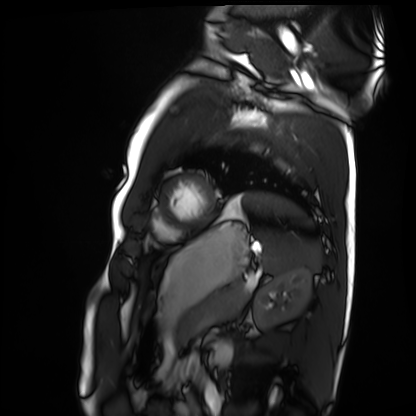
Cardiac MRI. Subject group: healthy volunteer.